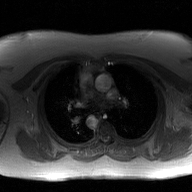
modality: 2D phase-contrast cine MRI of the ascending aorta, GAN super-resolution reconstruction.